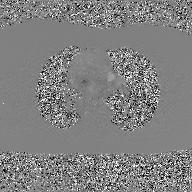
Summary:
2D phase-contrast cine MRI of the ascending aorta, GAN super-resolution reconstruction.